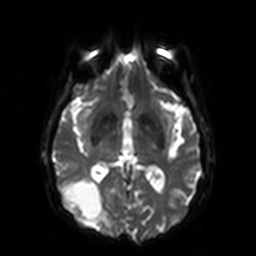
modality: 3 Tesla brain MRI; series: diffusion-weighted imaging; study: ring-enhancing brain masses.